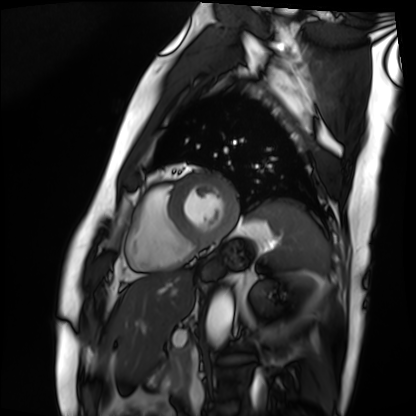
Cardiac MRI.
Subject group: patient.